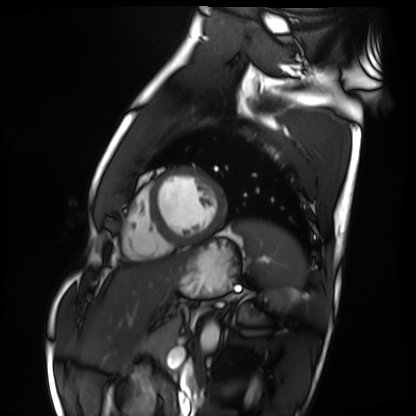
Cardiac MRI.
Subject group: healthy volunteer.